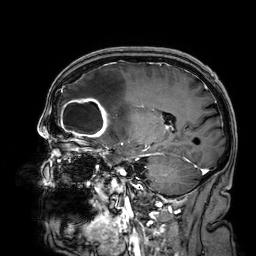
Clinical context:
3 Tesla brain MRI. Series: 3D T1-weighted. Study: ring-enhancing brain masses.